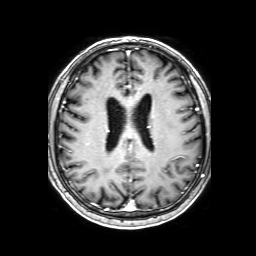
3 Tesla brain MRI. Series: 3D T1-weighted with SENSE. Study: ring-enhancing brain masses.